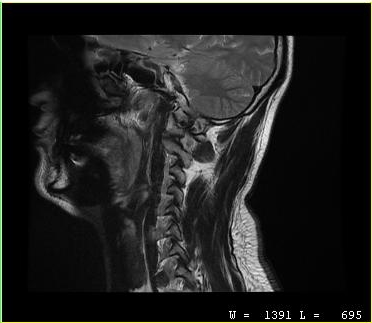
modality: MRI of the cervical spine | study: cervical spondylosis.